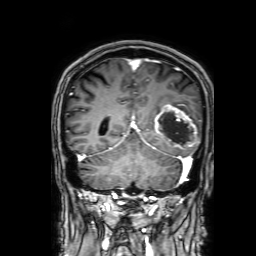
Q: What kind of scan is this?
A: 3 Tesla brain MRI.
Q: Series?
A: 3D T1-weighted with SENSE.
Study: ring-enhancing brain masses.